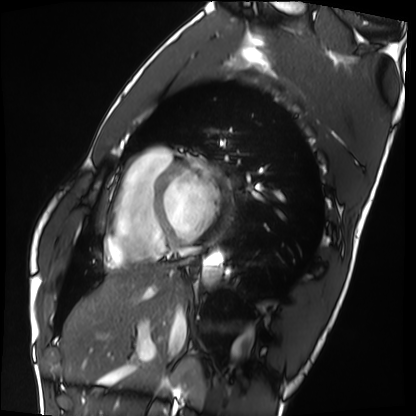
Summary:
Cardiac MRI. Subject group: healthy volunteer.